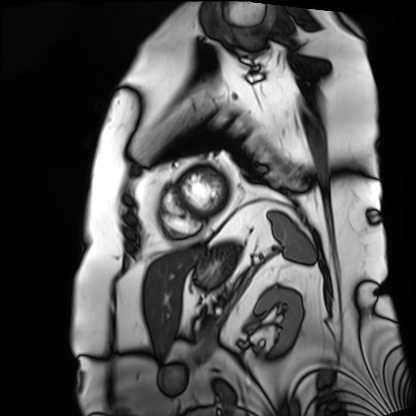
modality = cardiac MRI
subject group = patient